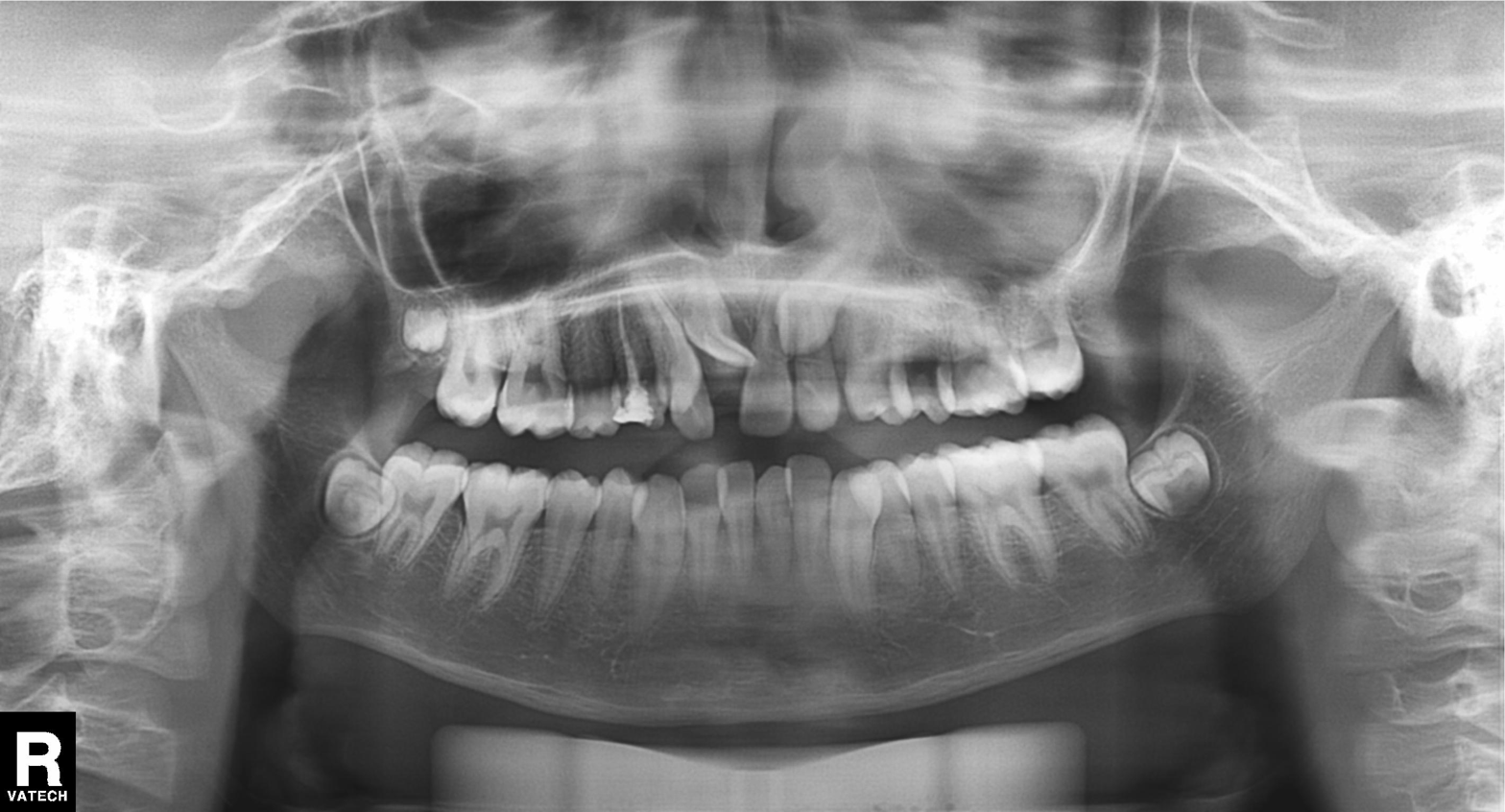
Panoramic dental radiograph (orthopantomogram). Finding: tooth impaction.